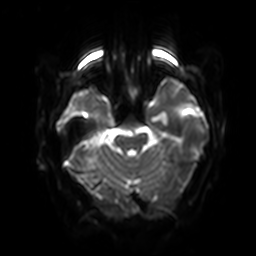
- modality — 3 Tesla brain MRI
- series — diffusion-weighted imaging with SENSE (WIP)
- study — ring-enhancing brain masses